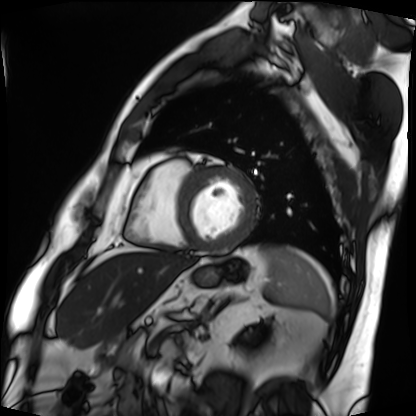
Cardiac MRI. Subject group: patient.